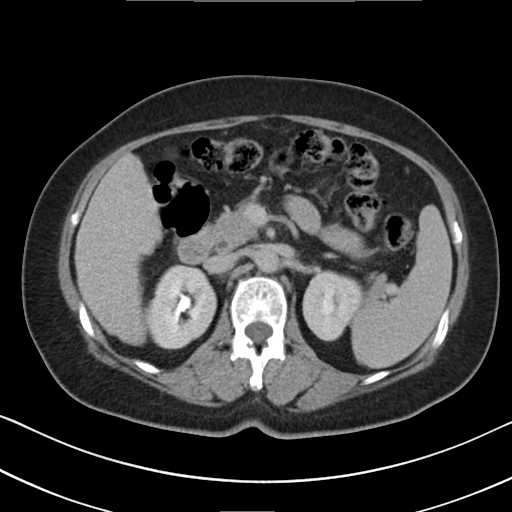
Q: What kind of scan is this?
A: Multiphase abdominal CT, liver, delayed phase.
Q: Patient?
A: Female, age 64.
Q: History?
A: Cirrhosis, viral hepatitis.